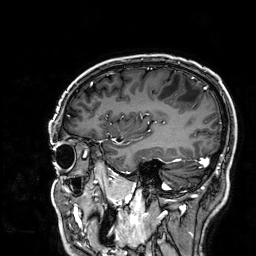
3 Tesla brain MRI. Series: 3D T1-weighted. Study: ring-enhancing brain masses.